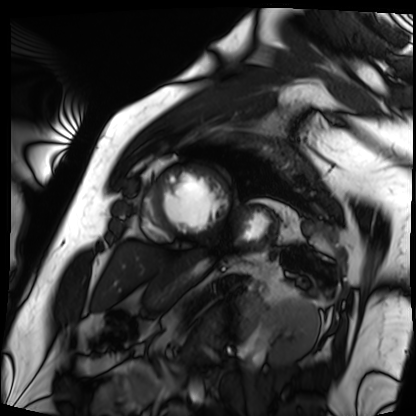
Clinical context:
Cardiac MRI. Subject group: patient.